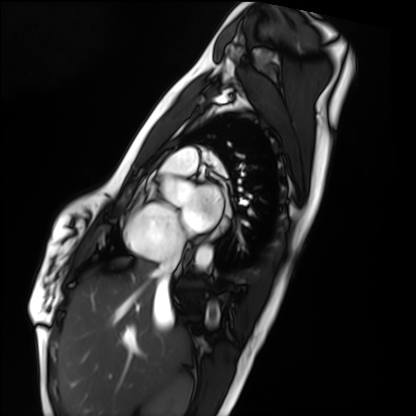
| field | value |
|---|---|
| modality | cardiac MRI |
| subject group | healthy volunteer |